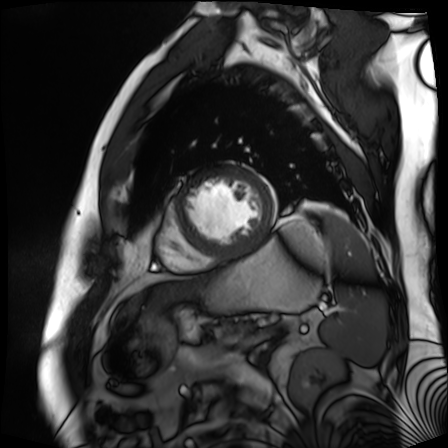
Cardiac MR image of the myocardium.
Subject cohort: cardiac patient.